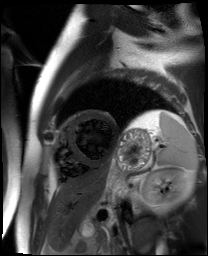
Cardiac MR image of the myocardium.
Subject cohort: cardiac patient.